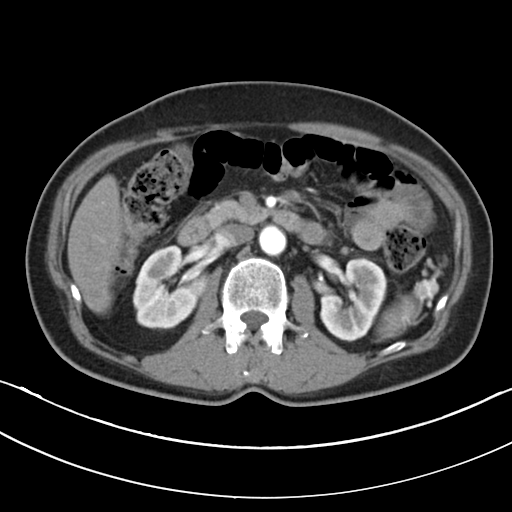
modality: multiphase abdominal CT, liver, arterial phase | patient: male, age 59 | history: cirrhosis, viral hepatitis.